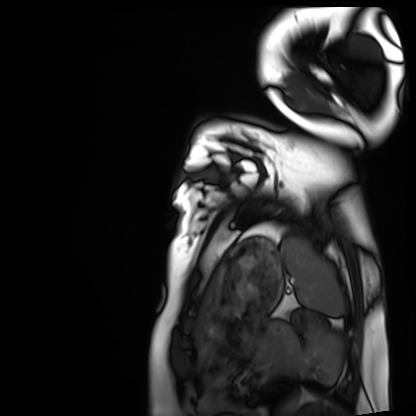
Clinical context:
Cardiac MRI. Subject group: healthy volunteer.